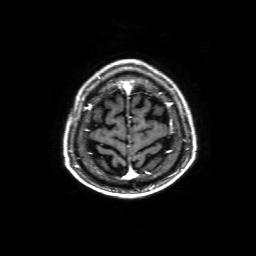
3 Tesla brain MRI.
Series: 3D T1-weighted with SENSE.
Study: ring-enhancing brain masses.